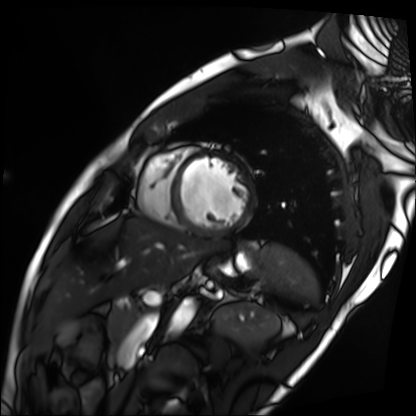
Cardiac MRI. Subject group: patient.